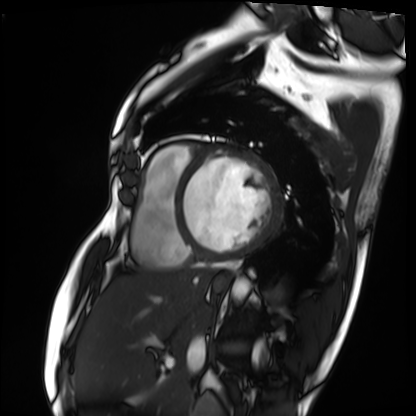
modality: cardiac MRI; subject group: patient.